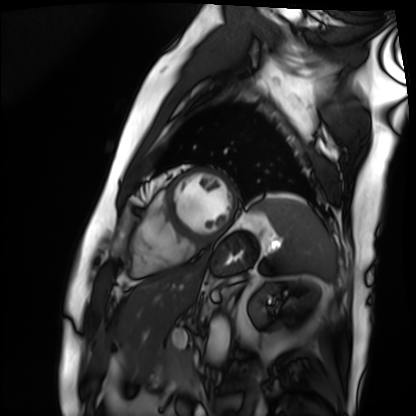
Clinical context:
Cardiac MRI. Subject group: patient.